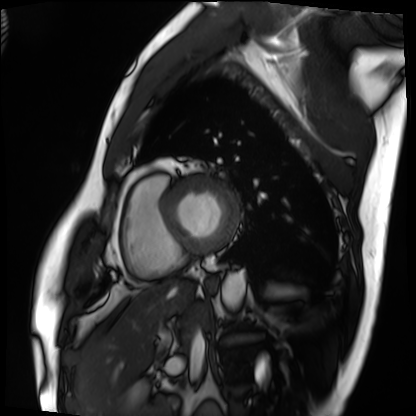
Cardiac MRI.
Subject group: patient.